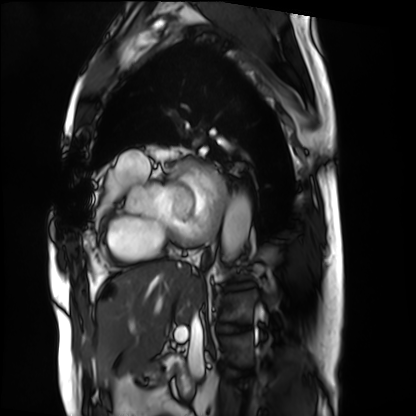
{
  "modality": "cardiac MRI",
  "cohort": "patient"
}